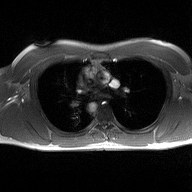
<case>
  <modality>
    <type>2D phase-contrast cine MRI</type>
    <region>ascending aorta</region>
    <reconstruction>high-resolution GRAPPA acquisition</reconstruction>
  </modality>
</case>